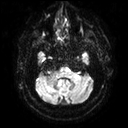
<scan>
<modality>
  <type>brain MRI</type>
  <field_strength>3T</field_strength>
</modality>
<series>diffusion tensor imaging (medium iso)</series>
<study_topic>ring-enhancing brain masses</study_topic>
</scan>